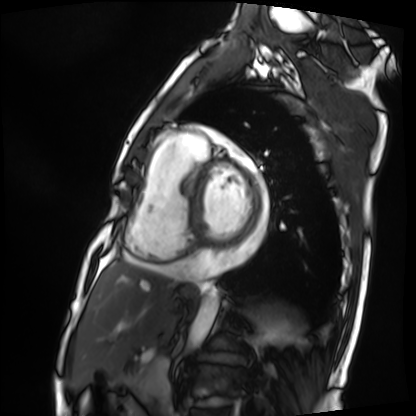
modality = cardiac MRI, subject group = patient.